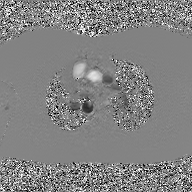
| field | value |
|---|---|
| modality | 2D phase-contrast cine MRI of the ascending aorta, GAN super-resolution reconstruction |